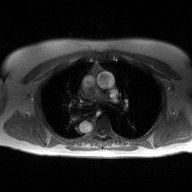
Summary: 2D phase-contrast cine MRI of the ascending aorta, high-resolution GRAPPA acquisition.